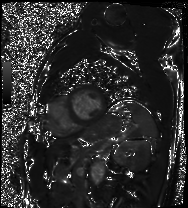
- modality — cardiac MRI
- subject group — patient